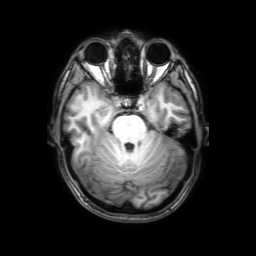
3 Tesla brain MRI.
Series: 3D T1-weighted with SENSE.
Study: ring-enhancing brain masses.